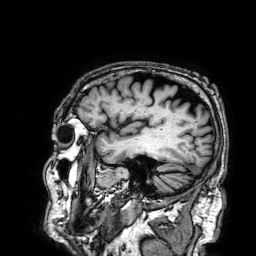
3 Tesla brain MRI.
Series: 3D T1-weighted.
Study: ring-enhancing brain masses.